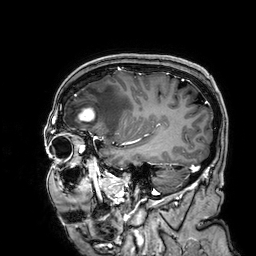
<scan>
<modality>
  <type>brain MRI</type>
  <field_strength>3T</field_strength>
</modality>
<series>3D T1-weighted</series>
<study_topic>ring-enhancing brain masses</study_topic>
</scan>